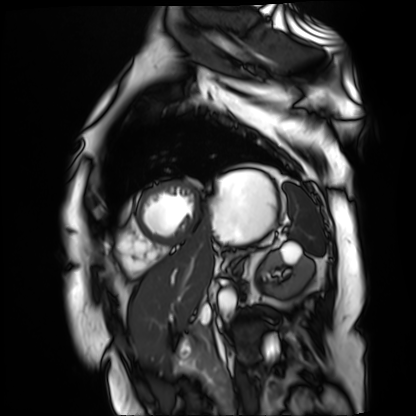
Cardiac MR image of the myocardium. Subject cohort: cardiac patient.